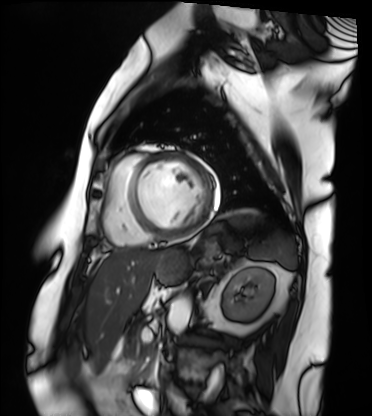
Cardiac MRI. Subject group: patient.